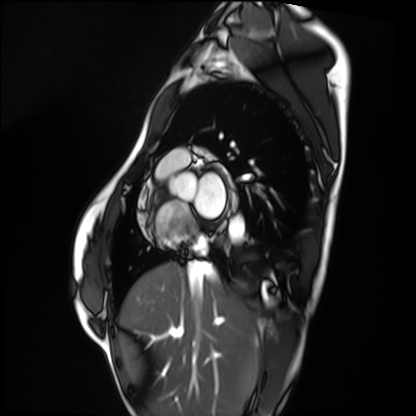
Summary:
Cardiac MRI. Subject group: healthy volunteer.